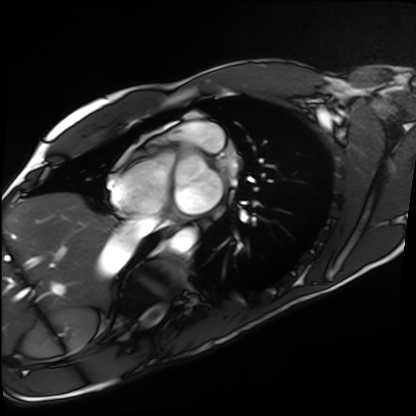
Q: What kind of scan is this?
A: Cardiac MRI.
Subject group: healthy volunteer.